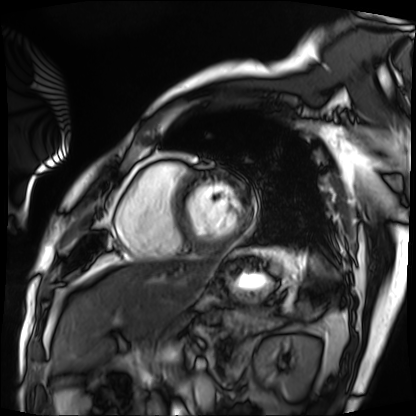
Cardiac MRI.
Subject group: patient.